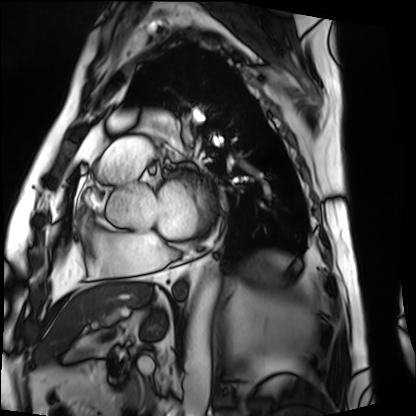
Clinical context:
Cardiac MRI. Subject group: patient.